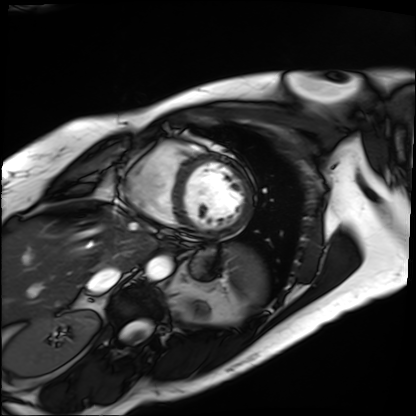
Cardiac MRI. Subject group: patient.